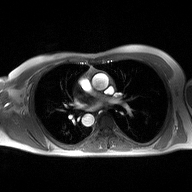
Clinical context:
2D phase-contrast cine MRI of the ascending aorta, high-resolution GRAPPA acquisition.